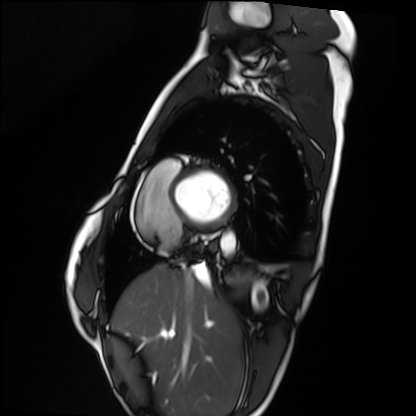
Case summary:
Cardiac MRI. Subject group: healthy volunteer.